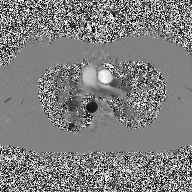
2D phase-contrast cine MRI of the ascending aorta, high-resolution GRAPPA acquisition.